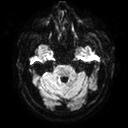
3 Tesla brain MRI.
Series: diffusion tensor imaging (medium iso).
Study: ring-enhancing brain masses.